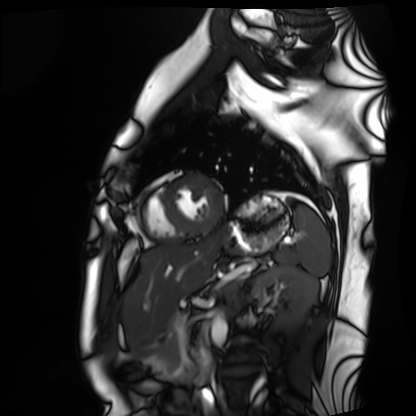
– modality — cardiac MRI
– subject group — healthy volunteer